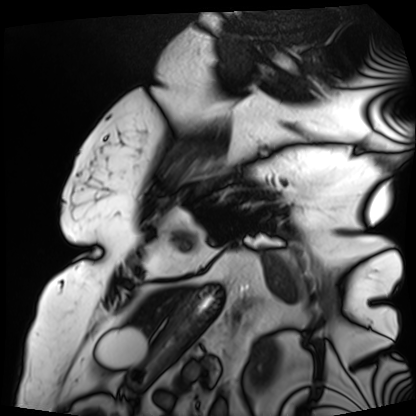
Q: What kind of scan is this?
A: Cardiac MRI.
Subject group: patient.